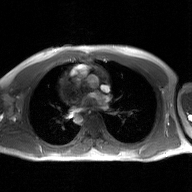
modality = 2D phase-contrast cine MRI of the ascending aorta, GAN super-resolution reconstruction.